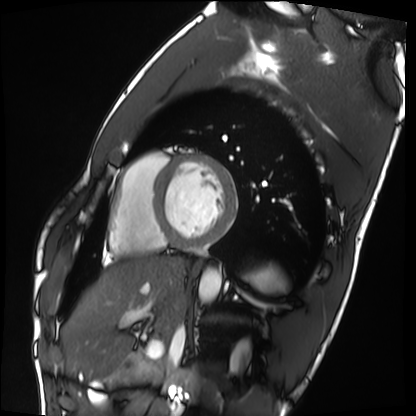
Q: What kind of scan is this?
A: Cardiac MRI.
Subject group: healthy volunteer.